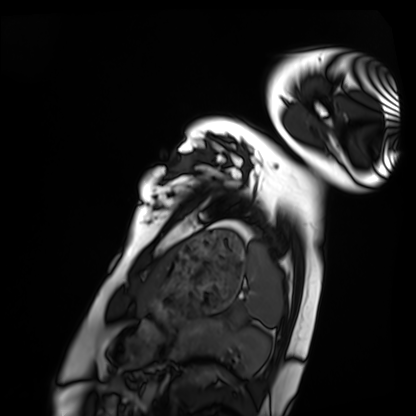
modality = cardiac MRI
subject group = healthy volunteer